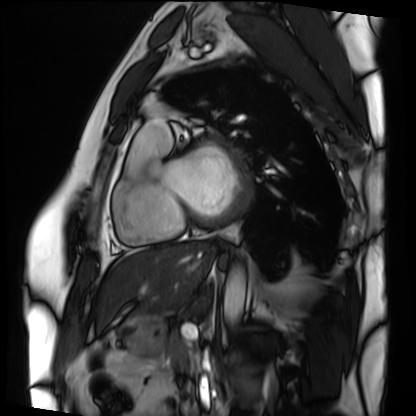
Cardiac MRI. Subject group: patient.